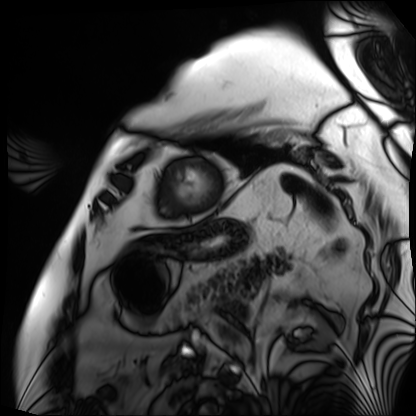
Summary:
Cardiac MRI. Subject group: patient.